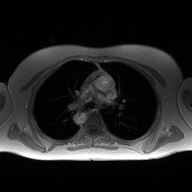
Q: What kind of scan is this?
A: 2D phase-contrast cine MRI of the ascending aorta.